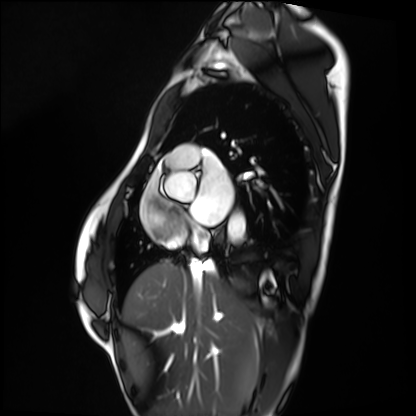
Cardiac MRI. Subject group: healthy volunteer.